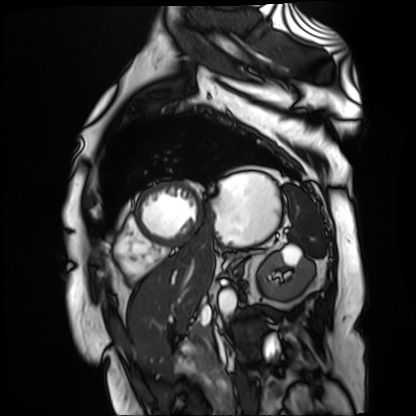
modality: cardiac MR image of the myocardium | subject cohort: cardiac patient.